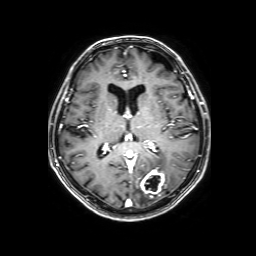
| field | value |
|---|---|
| modality | 3 Tesla brain MRI |
| series | 3D T1-weighted with SENSE |
| study | ring-enhancing brain masses |